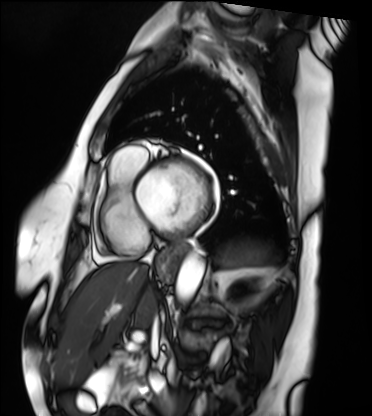
modality: cardiac MRI
subject group: patient